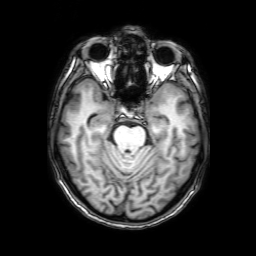
{
  "modality": {
    "type": "brain MRI",
    "field_strength": "3T"
  },
  "series": "3D T1-weighted with SENSE",
  "study_topic": "ring-enhancing brain masses"
}